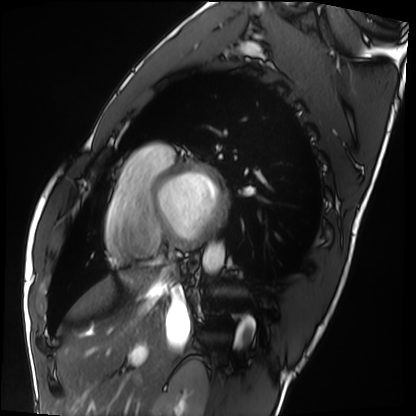
Cardiac MRI.
Subject group: healthy volunteer.